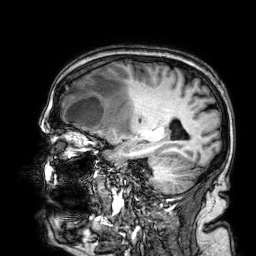
• modality · 3 Tesla brain MRI
• series · 3D T1-weighted
• study · ring-enhancing brain masses